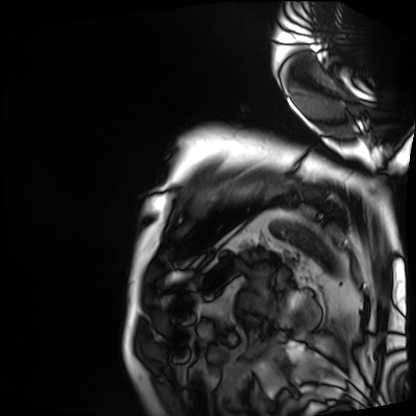
Cardiac MRI. Subject group: patient.